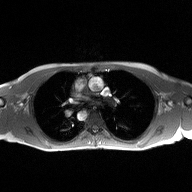
2D phase-contrast cine MRI of the ascending aorta, high-resolution GRAPPA acquisition.